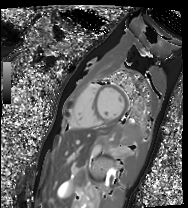
Cardiac MR image of the myocardium.
Subject cohort: healthy volunteer.